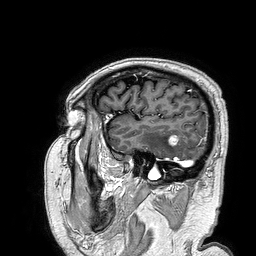
{"modality": {"type": "brain MRI", "field_strength": "3T"}, "series": "3D T1-weighted turbo field echo", "study_topic": "ring-enhancing brain masses"}